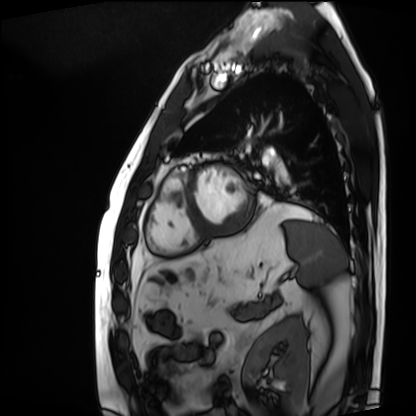
Cardiac MRI. Subject group: patient.